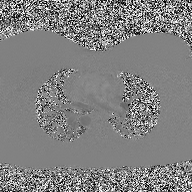
2D phase-contrast cine MRI of the ascending aorta, high-resolution GRAPPA acquisition.